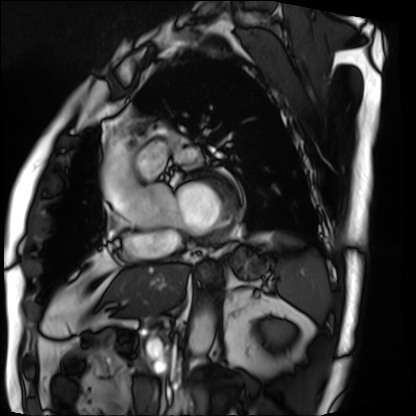
Cardiac MRI. Subject group: patient.